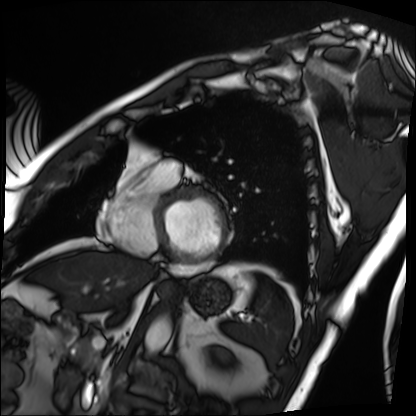
Summary:
Cardiac MRI. Subject group: patient.